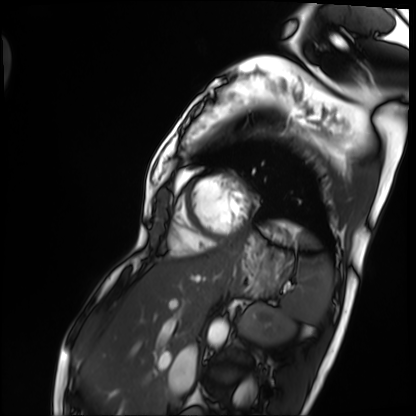
Case summary: Cardiac MRI. Subject group: patient.